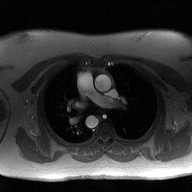
  modality:
    type: 2D phase-contrast cine MRI
    region: ascending aorta
    reconstruction: high-resolution GRAPPA acquisition